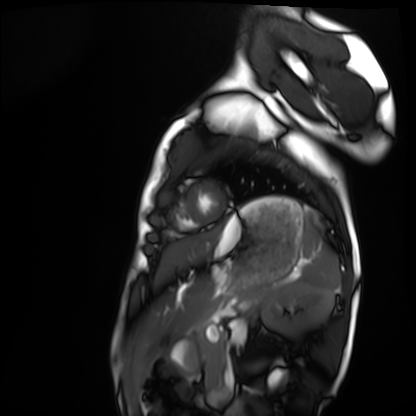
{
  "modality": "cardiac MRI",
  "cohort": "healthy volunteer"
}